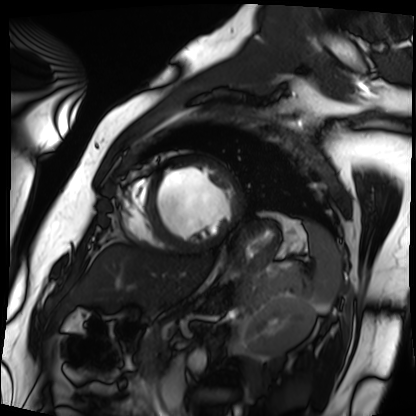
Clinical context: Cardiac MRI. Subject group: patient.